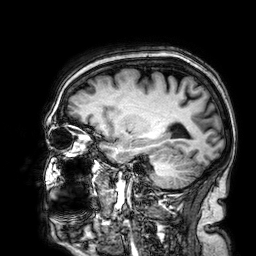
3 Tesla brain MRI. Study: ring-enhancing brain masses.